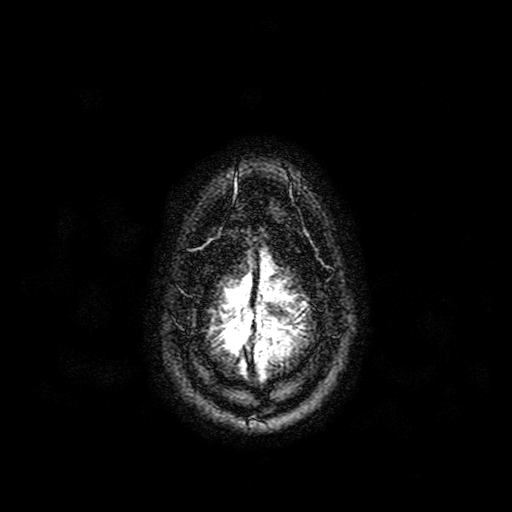
Summary: 3 Tesla brain MRI. Series: FLAIR with SPAIR. Study: ring-enhancing brain masses.